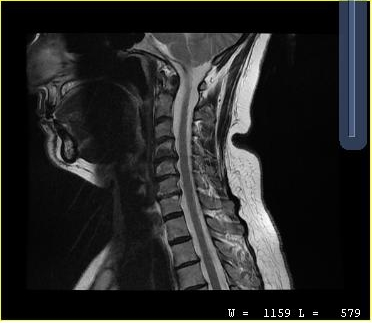
Summary:
MRI of the cervical spine. Study: cervical spondylosis.